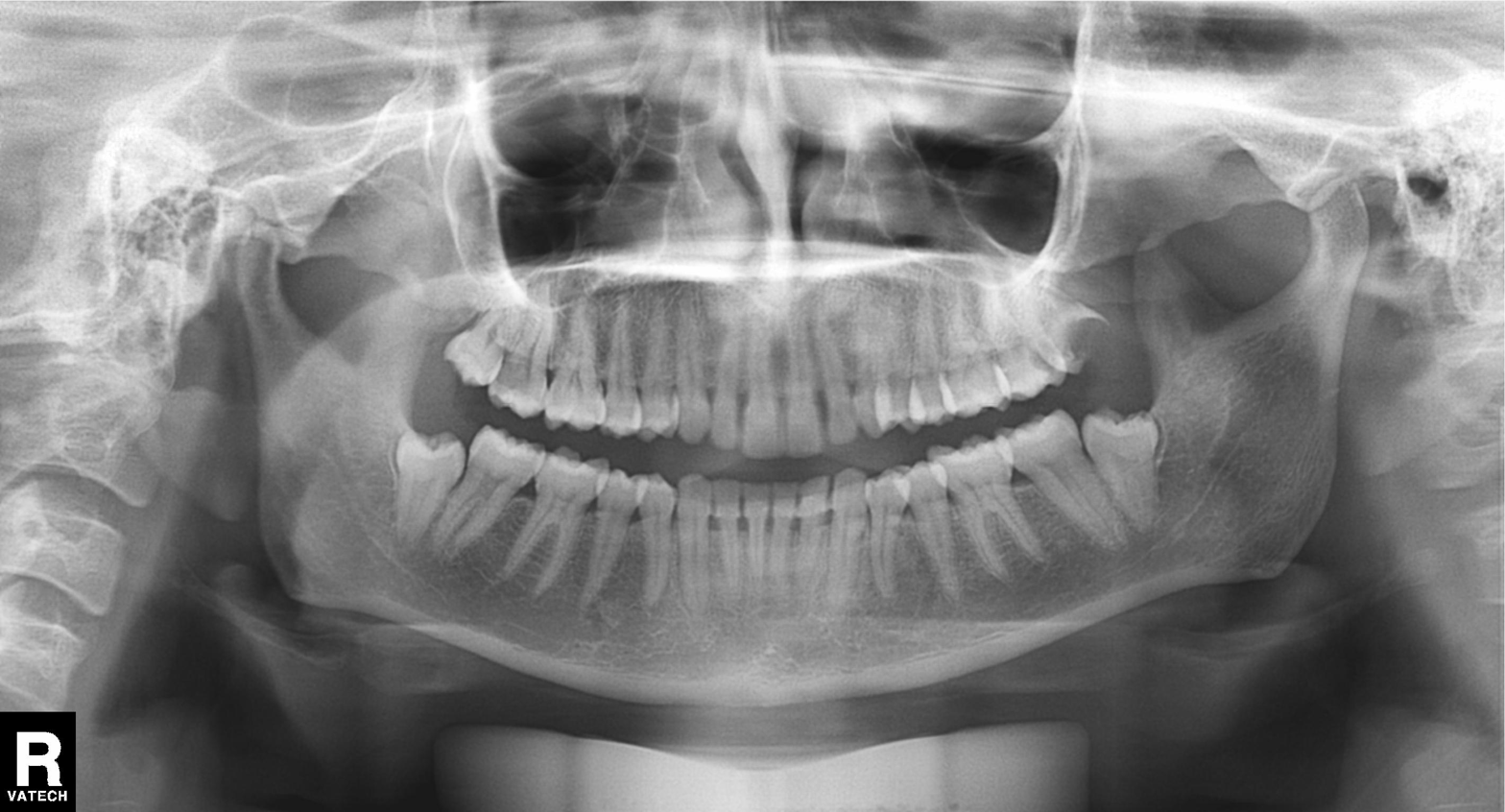
modality — panoramic dental radiograph (orthopantomogram); finding — alveolar bone loss.